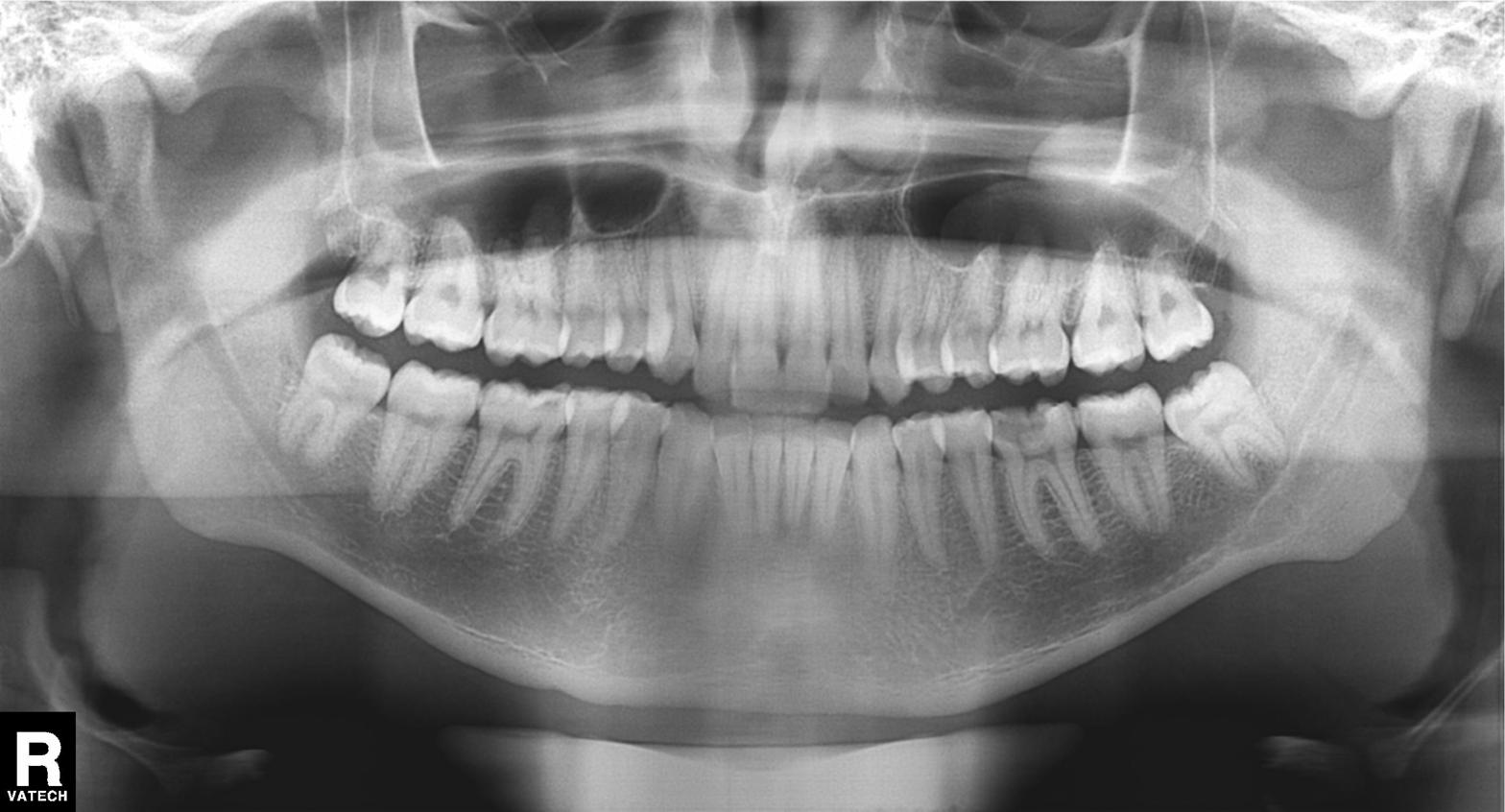
Q: What kind of scan is this?
A: Panoramic dental radiograph (orthopantomogram).
Q: What is the radiographic finding?
A: Dental caries (cavities).